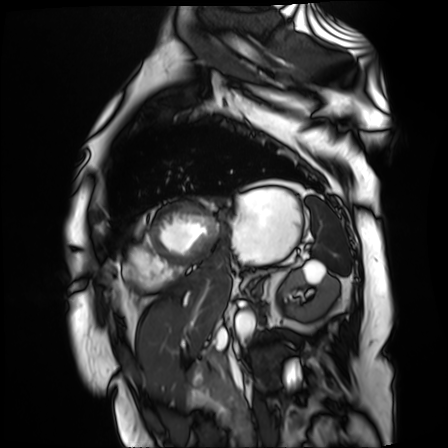
{
  "modality": "cardiac MR image of the myocardium",
  "cohort": "cardiac patient"
}